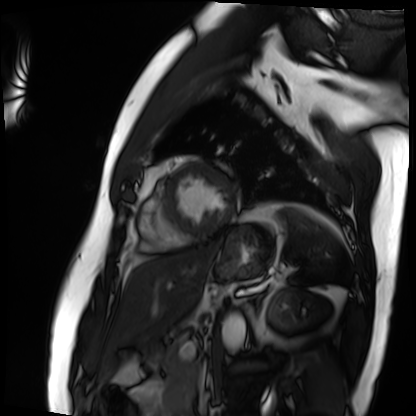
Summary:
Cardiac MRI. Subject group: patient.